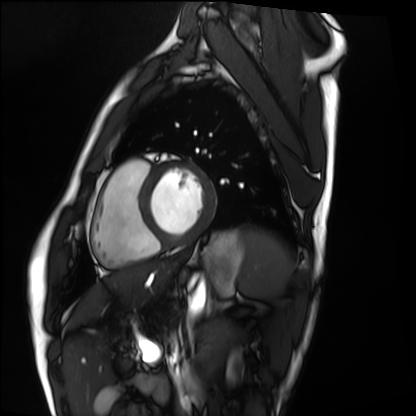
– modality — cardiac MRI
– subject group — healthy volunteer